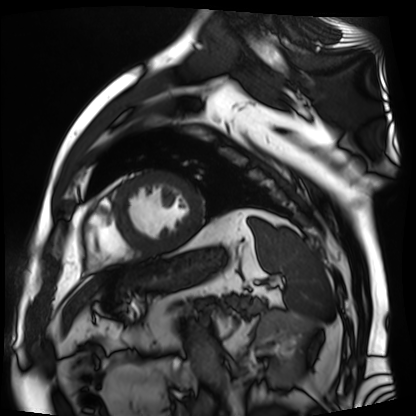
Cardiac MR image of the myocardium. Subject cohort: cardiac patient.